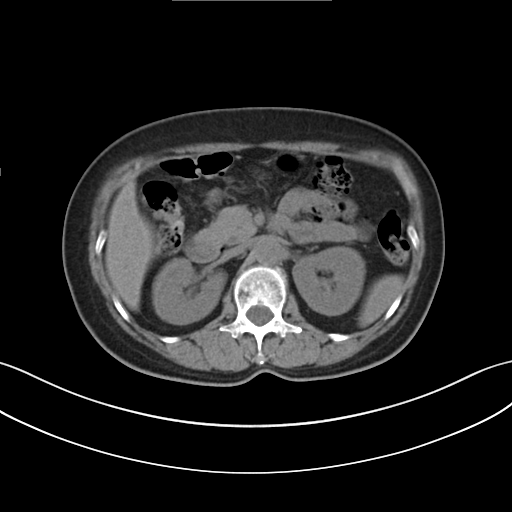
Clinical context:
Multiphase abdominal CT, liver, non-contrast phase. Patient: female, age 61.